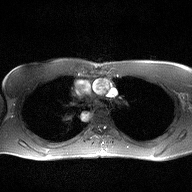
modality: 2D phase-contrast cine MRI of the ascending aorta.